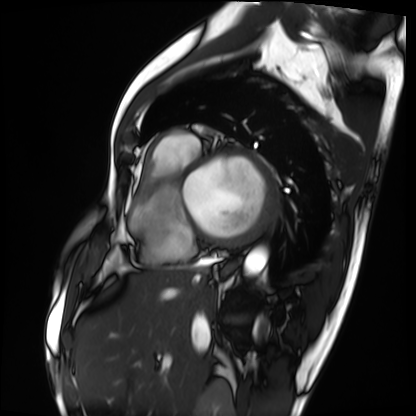
modality: cardiac MRI
subject group: patient